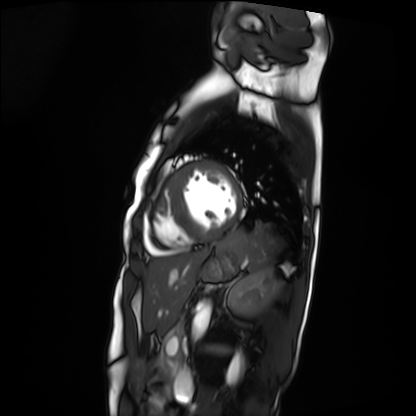
modality = cardiac MRI
subject group = patient